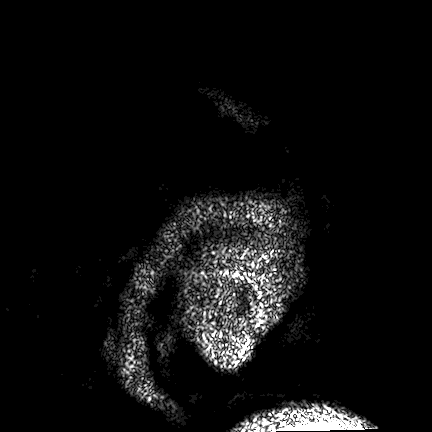
Case summary: 3 Tesla brain MRI. Series: FLAIR VISTA. Study: ring-enhancing brain masses.